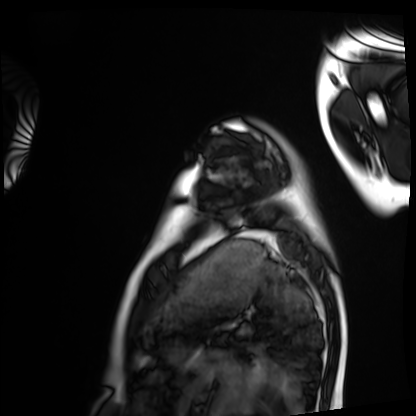
Cardiac MRI. Subject group: healthy volunteer.